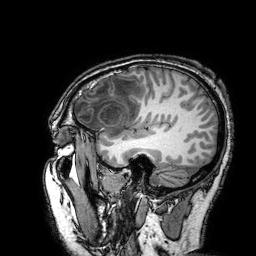
• modality · 3 Tesla brain MRI
• series · 3D T1-weighted turbo field echo with SENSE
• study · ring-enhancing brain masses